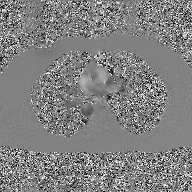
Q: What kind of scan is this?
A: 2D phase-contrast cine MRI of the ascending aorta, GAN super-resolution reconstruction.